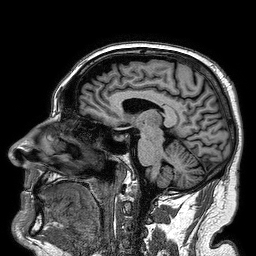
{
  "modality": {
    "type": "brain MRI",
    "field_strength": "3T"
  },
  "series": "3D T1-weighted turbo field echo",
  "study_topic": "ring-enhancing brain masses"
}